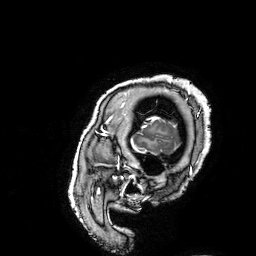
Case summary:
3 Tesla brain MRI. Series: 3D T1-weighted turbo field echo with SENSE. Study: ring-enhancing brain masses.